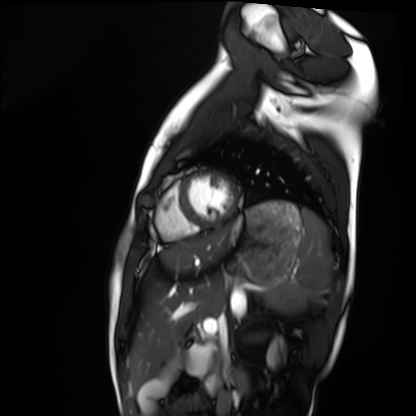
modality = cardiac MRI, subject group = healthy volunteer.